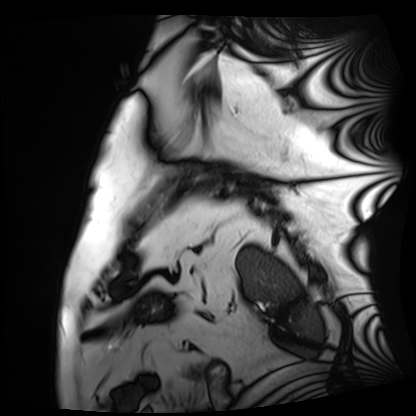
{"modality": "cardiac MRI", "cohort": "patient"}